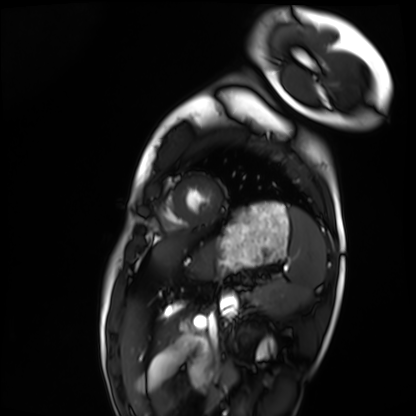
Cardiac MRI.
Subject group: healthy volunteer.